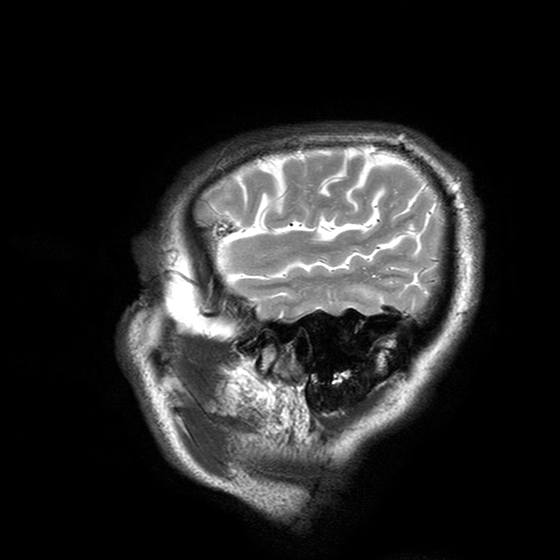
modality: 3 Tesla brain MRI | series: T2-weighted turbo spin echo with SENSE | study: ring-enhancing brain masses.